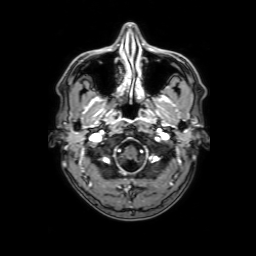
| field | value |
|---|---|
| modality | 3 Tesla brain MRI |
| series | 3D T1-weighted with SENSE |
| study | ring-enhancing brain masses |